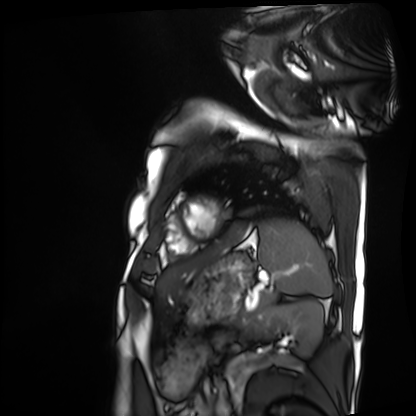
| field | value |
|---|---|
| modality | cardiac MRI |
| subject group | patient |